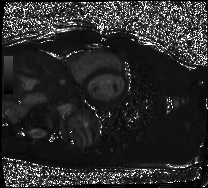
| field | value |
|---|---|
| modality | cardiac MRI |
| subject group | healthy volunteer |